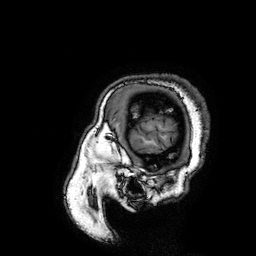
| field | value |
|---|---|
| modality | 3 Tesla brain MRI |
| series | 3D T1-weighted turbo field echo with SENSE |
| study | ring-enhancing brain masses |